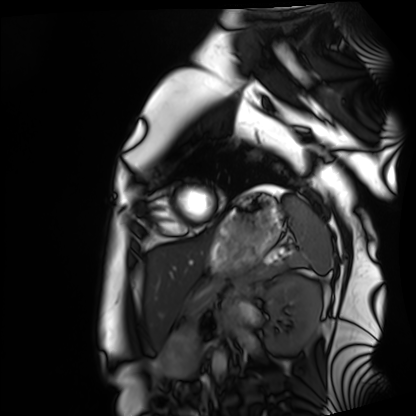
Cardiac MRI. Subject group: healthy volunteer.